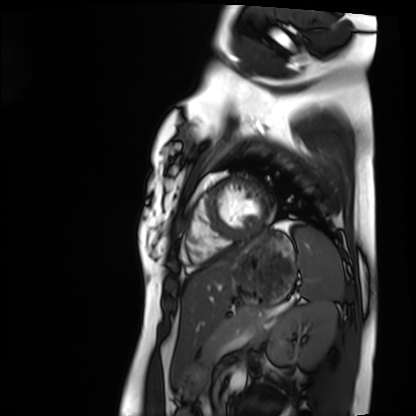
Clinical context: Cardiac MRI. Subject group: healthy volunteer.